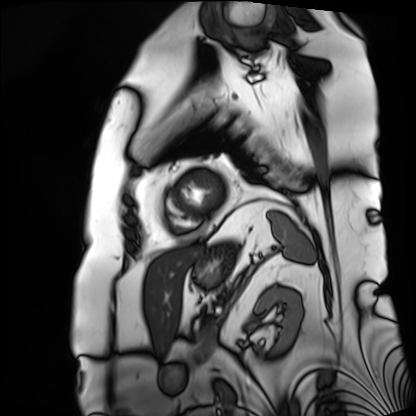
modality: cardiac MRI | subject group: patient.